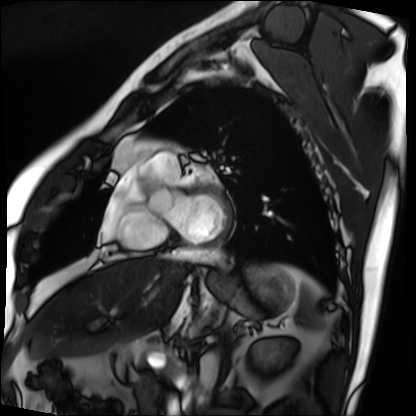
Summary: Cardiac MRI. Subject group: patient.